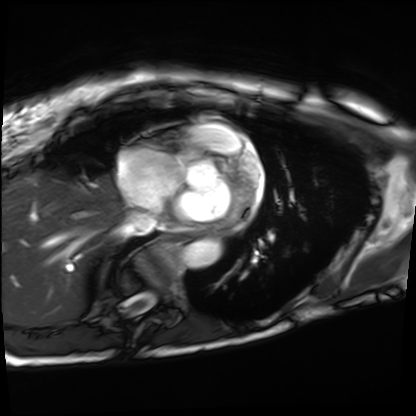
Cardiac MRI. Subject group: patient.